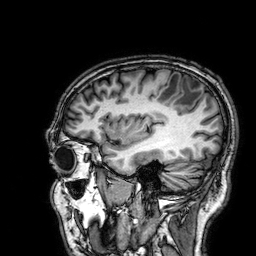
3 Tesla brain MRI. Series: 3D T1-weighted. Study: ring-enhancing brain masses.